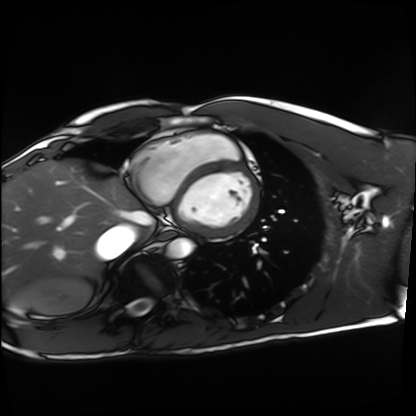
Summary: Cardiac MRI. Subject group: healthy volunteer.